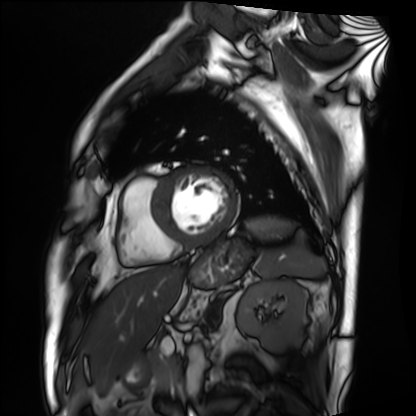
Cardiac MRI.
Subject group: patient.